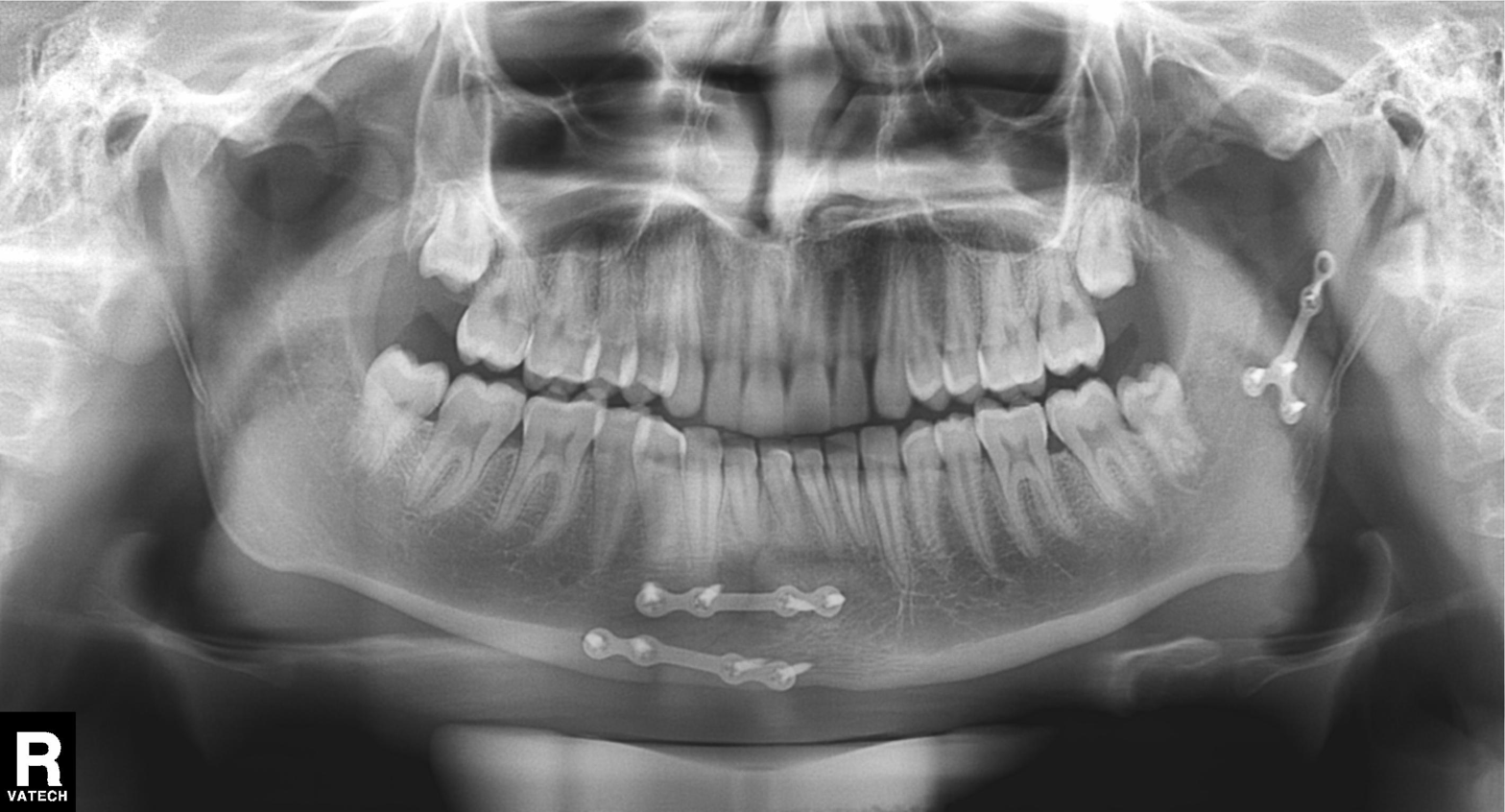
Summary:
Panoramic dental radiograph (orthopantomogram).
Conclusion:
Alveolar bone loss.